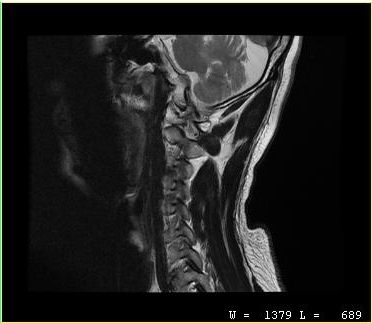
Clinical context:
MRI of the cervical spine. Study: cervical spondylosis.